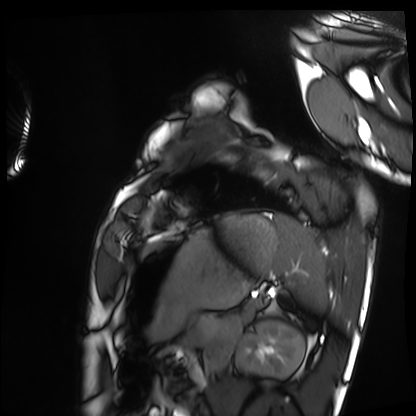
modality = cardiac MRI; subject group = healthy volunteer.